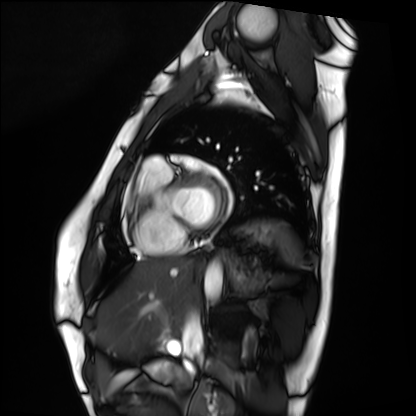
* modality: cardiac MRI
* subject group: healthy volunteer